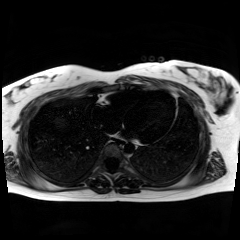
modality=chemical-shift-encoded cardiac MRI